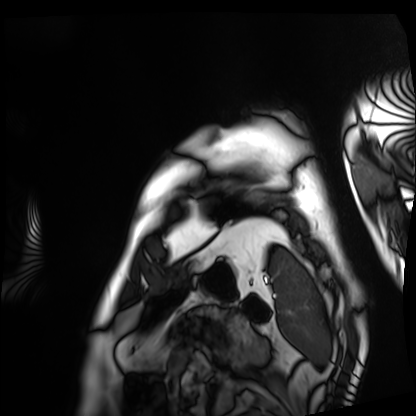
Cardiac MRI. Subject group: patient.